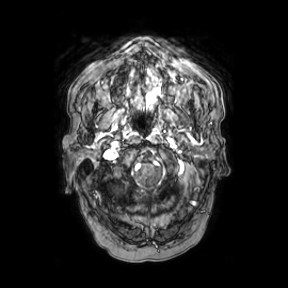
modality=3 Tesla brain MRI; series=axial; study=ring-enhancing brain masses.